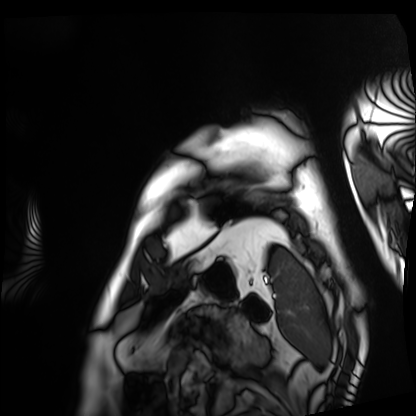
Summary:
Cardiac MRI. Subject group: patient.